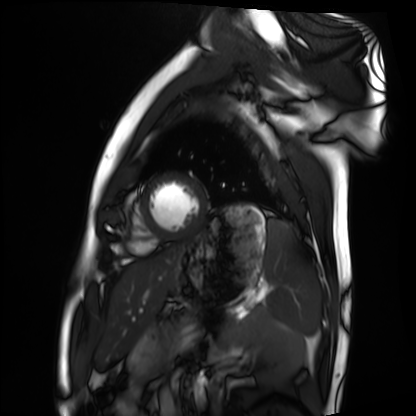
Cardiac MRI.
Subject group: healthy volunteer.